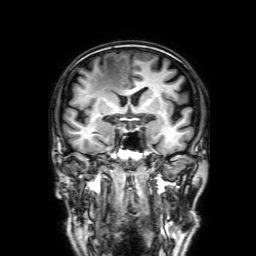
3 Tesla brain MRI. Series: 3D T1-weighted with SENSE. Study: ring-enhancing brain masses.